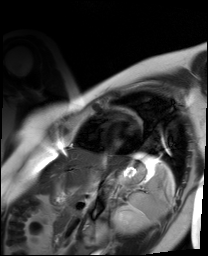
modality: cardiac MR image of the myocardium, subject cohort: healthy volunteer.